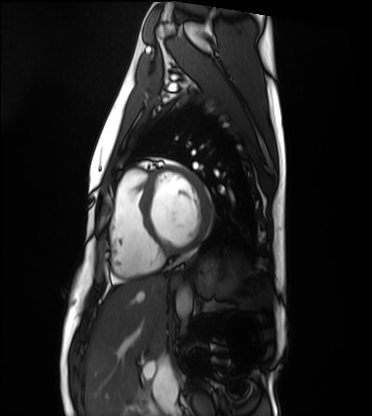
Cardiac MRI. Subject group: healthy volunteer.